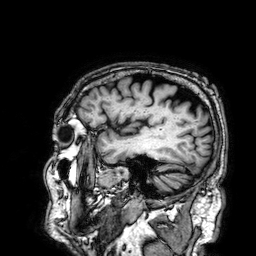
Summary:
3 Tesla brain MRI. Series: 3D T1-weighted. Study: ring-enhancing brain masses.